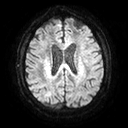
3 Tesla brain MRI.
Series: diffusion tensor imaging (medium iso).
Study: ring-enhancing brain masses.